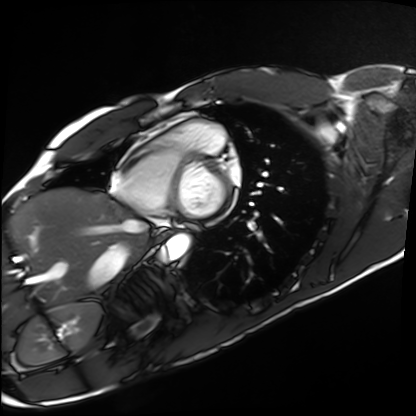
Cardiac MRI. Subject group: healthy volunteer.